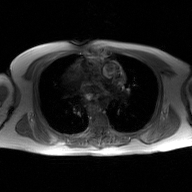
2D phase-contrast cine MRI of the ascending aorta, GAN super-resolution reconstruction.